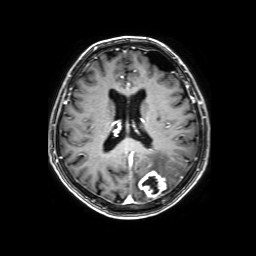
Clinical context: 3 Tesla brain MRI. Series: 3D T1-weighted with SENSE. Study: ring-enhancing brain masses.